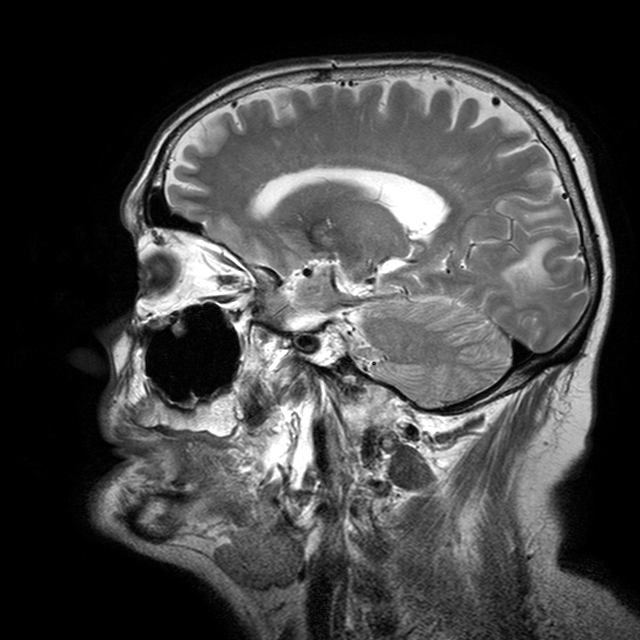
3 Tesla brain MRI.
Series: T2-weighted turbo spin echo with CLEAR.
Study: ring-enhancing brain masses.